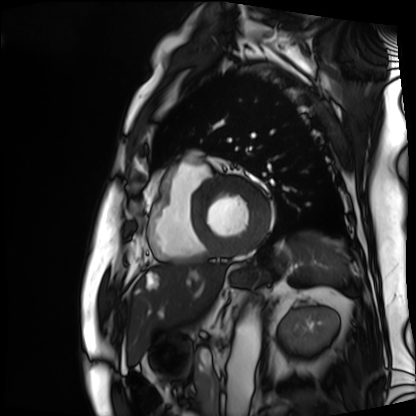
modality: cardiac MRI | subject group: patient.